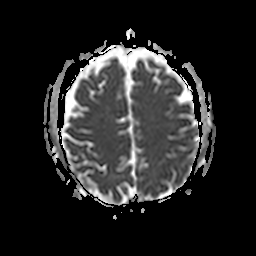
{
  "modality": {
    "type": "brain MRI",
    "field_strength": "3T"
  },
  "study_topic": "ring-enhancing brain masses"
}